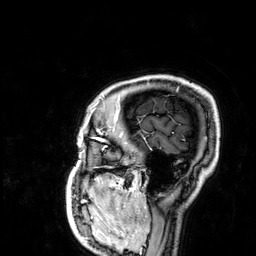
modality = 3 Tesla brain MRI
series = 3D T1-weighted
study = ring-enhancing brain masses